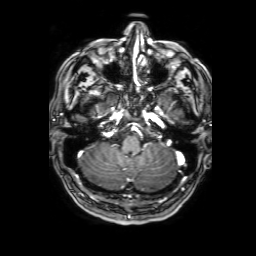
3 Tesla brain MRI. Series: 3D T1-weighted with SENSE. Study: ring-enhancing brain masses.